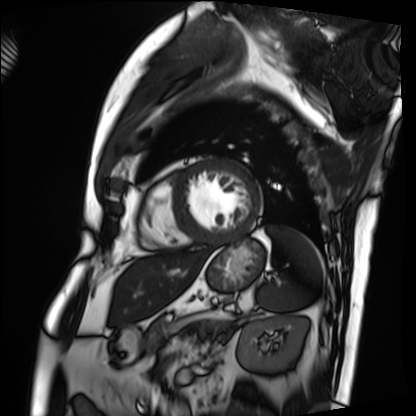
| field | value |
|---|---|
| modality | cardiac MRI |
| subject group | patient |